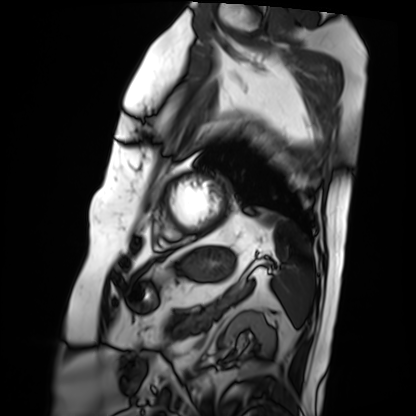
Clinical context: Cardiac MRI. Subject group: patient.